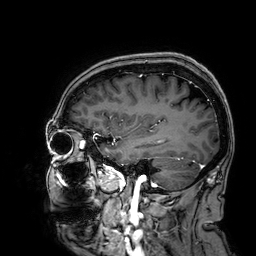
{
  "modality": {
    "type": "brain MRI",
    "field_strength": "3T"
  },
  "series": "3D T1-weighted",
  "study_topic": "ring-enhancing brain masses"
}